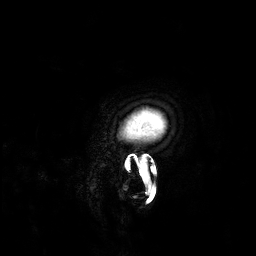
Case:
• modality: 3 Tesla brain MRI
• series: 3D T1-weighted
• study: ring-enhancing brain masses